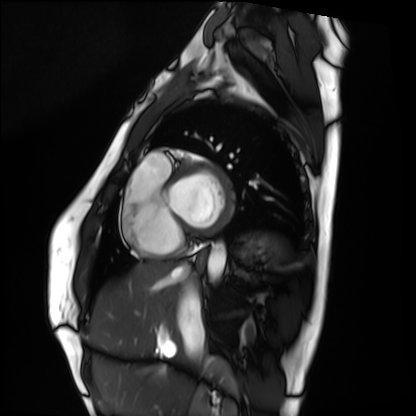
modality: cardiac MRI | subject group: healthy volunteer.